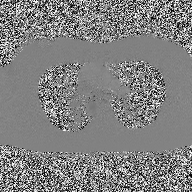
Q: What kind of scan is this?
A: 2D phase-contrast cine MRI of the ascending aorta.